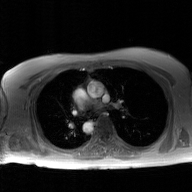
modality: 2D phase-contrast cine MRI of the ascending aorta, GAN super-resolution reconstruction